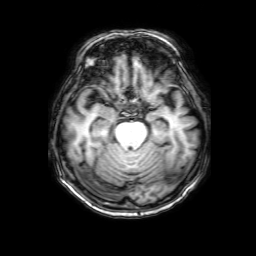
modality — 3 Tesla brain MRI; series — 3D T1-weighted with SENSE; study — ring-enhancing brain masses.